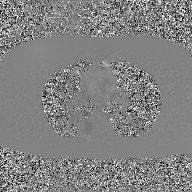
modality=2D phase-contrast cine MRI of the ascending aorta, GAN super-resolution reconstruction.